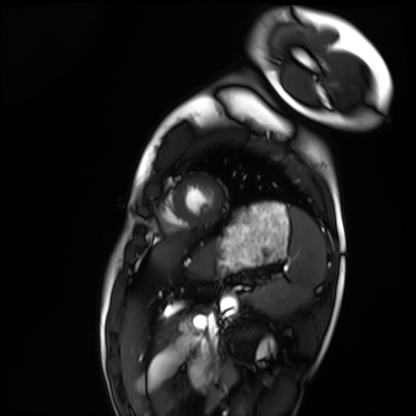
Summary: Cardiac MRI. Subject group: healthy volunteer.